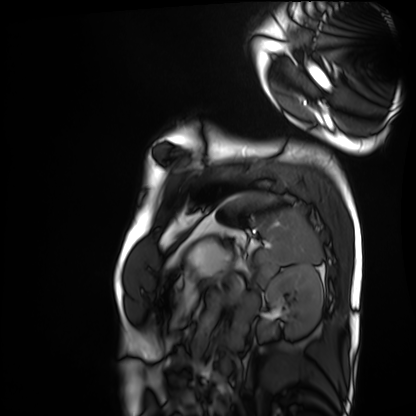
modality = cardiac MRI
subject group = healthy volunteer